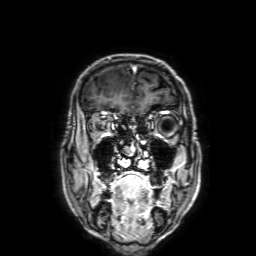
| field | value |
|---|---|
| modality | 3 Tesla brain MRI |
| series | 3D T1-weighted with SENSE |
| study | ring-enhancing brain masses |